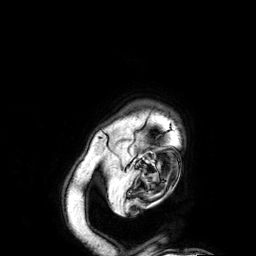
• modality · 3 Tesla brain MRI
• series · 3D T1-weighted
• study · ring-enhancing brain masses